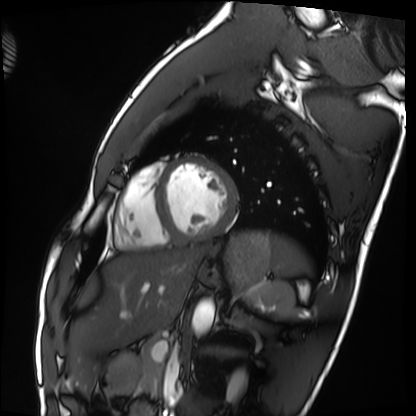
Cardiac MRI.
Subject group: healthy volunteer.